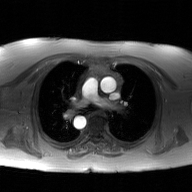
Case summary:
2D phase-contrast cine MRI of the ascending aorta, GAN super-resolution reconstruction.